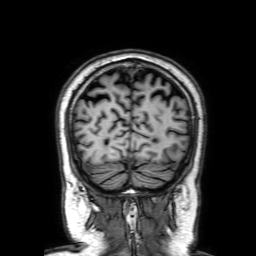
Q: What kind of scan is this?
A: 3 Tesla brain MRI.
Q: Series?
A: 3D T1-weighted with SENSE.
Study: ring-enhancing brain masses.